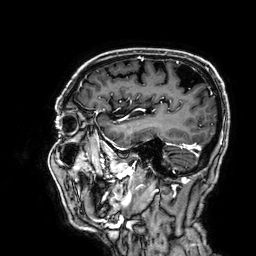
3 Tesla brain MRI.
Series: 3D T1-weighted.
Study: ring-enhancing brain masses.